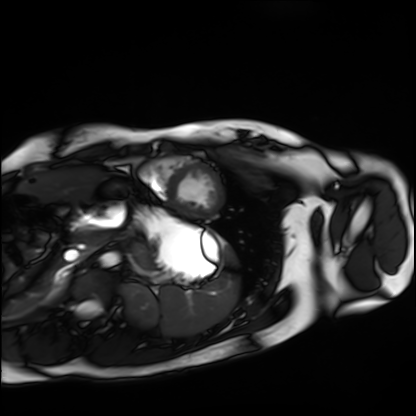
Cardiac MRI.
Subject group: healthy volunteer.